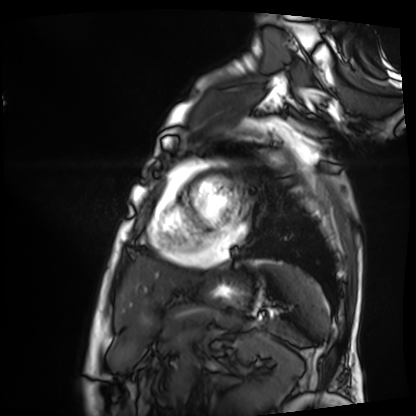
modality: cardiac MRI, subject group: patient.